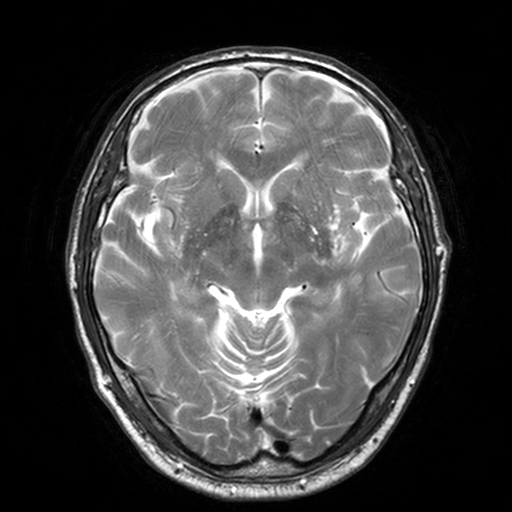
modality: 3 Tesla brain MRI | series: T2-weighted turbo spin echo, 3 mm | study: ring-enhancing brain masses.